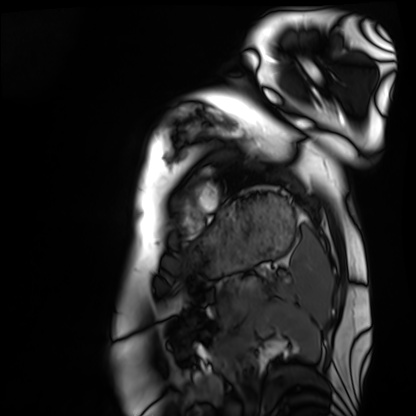
{"modality": "cardiac MRI", "cohort": "healthy volunteer"}